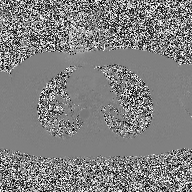
<study>
<modality>
  <type>2D phase-contrast cine MRI</type>
  <region>ascending aorta</region>
  <reconstruction>high-resolution GRAPPA acquisition</reconstruction>
</modality>
</study>